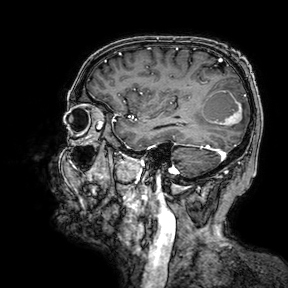
3 Tesla brain MRI. Study: ring-enhancing brain masses.